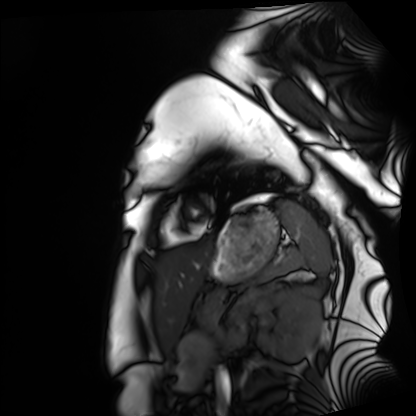
• modality · cardiac MRI
• subject group · healthy volunteer